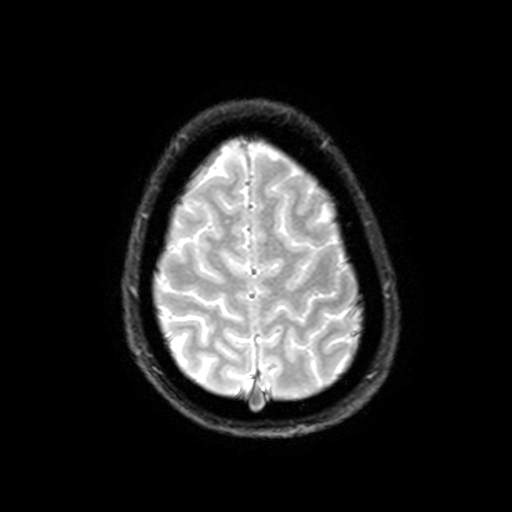
| field | value |
|---|---|
| modality | 3 Tesla brain MRI |
| series | T2-weighted fast field echo with SENSE |
| study | ring-enhancing brain masses |